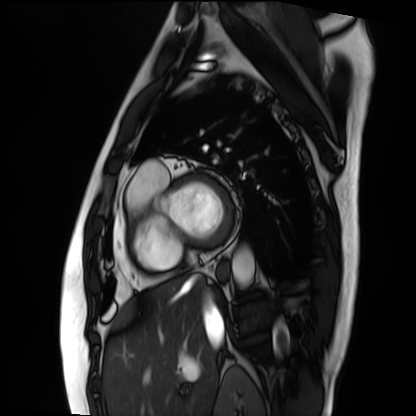
Case summary:
Cardiac MRI. Subject group: patient.